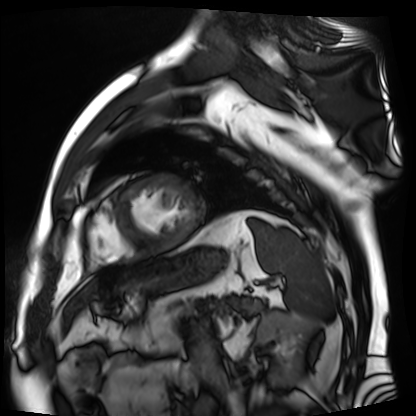
- modality: cardiac MR image of the myocardium
- subject cohort: cardiac patient